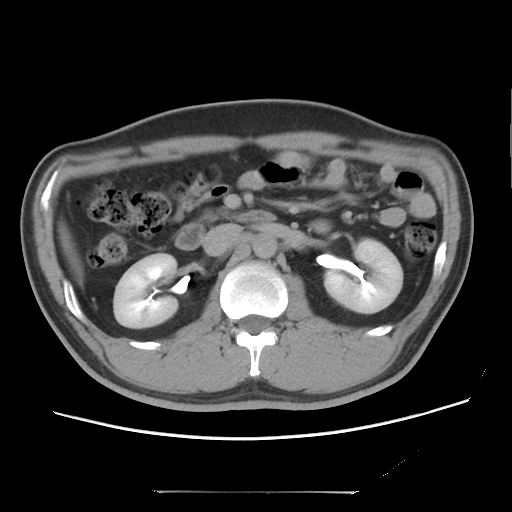
modality: multiphase abdominal CT, liver, delayed phase
patient: male, age 37